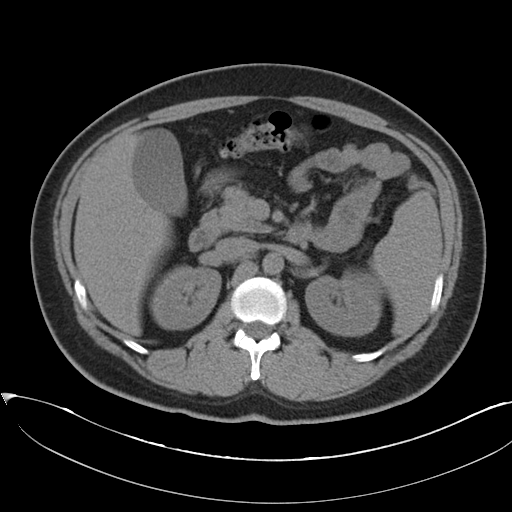
– modality: multiphase abdominal CT, liver, non-contrast phase
– patient: female, age 35